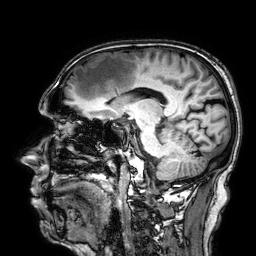
Q: What kind of scan is this?
A: 3 Tesla brain MRI.
Q: Series?
A: 3D T1-weighted.
Study: ring-enhancing brain masses.